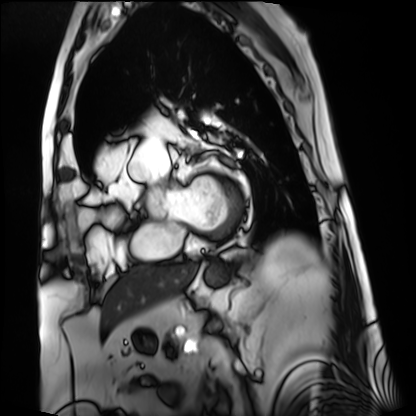
Summary: Cardiac MRI. Subject group: patient.